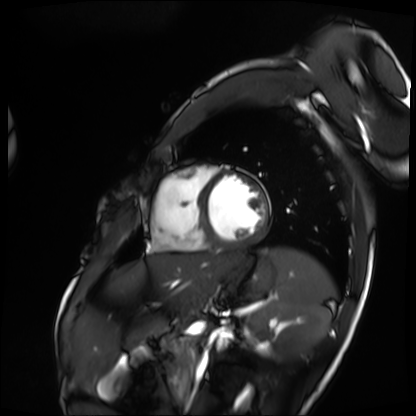
Cardiac MRI. Subject group: patient.